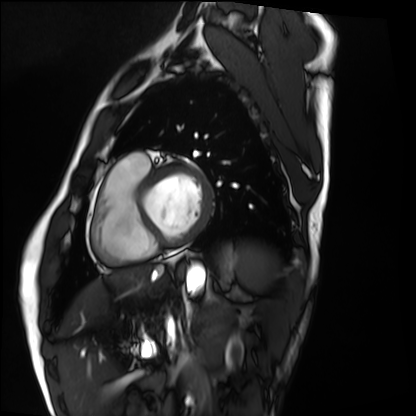
Case summary: Cardiac MRI. Subject group: healthy volunteer.